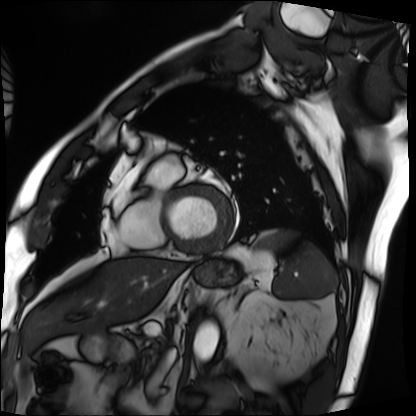
Cardiac MRI. Subject group: patient.